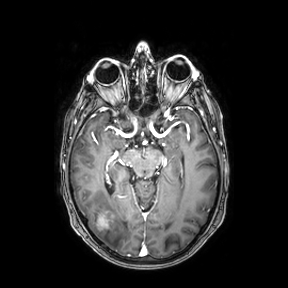
3 Tesla brain MRI.
Series: axial.
Study: ring-enhancing brain masses.